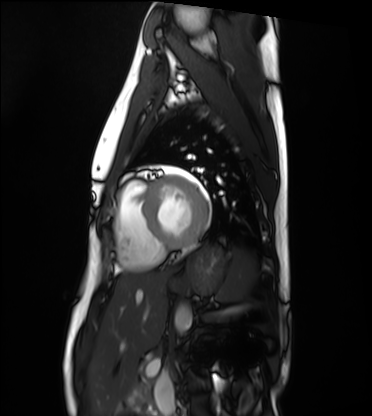
Cardiac MRI. Subject group: healthy volunteer.